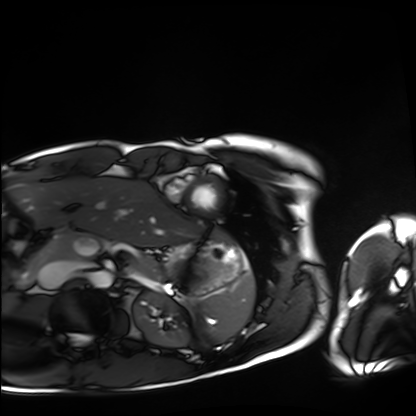
Case:
– modality — cardiac MRI
– subject group — healthy volunteer